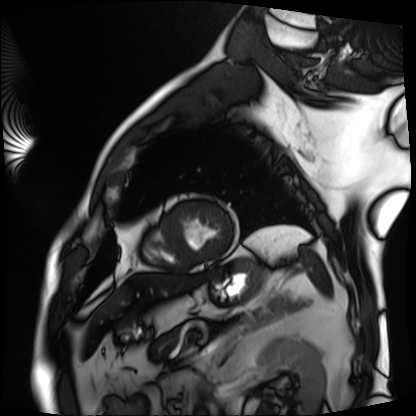
Summary: Cardiac MRI. Subject group: patient.